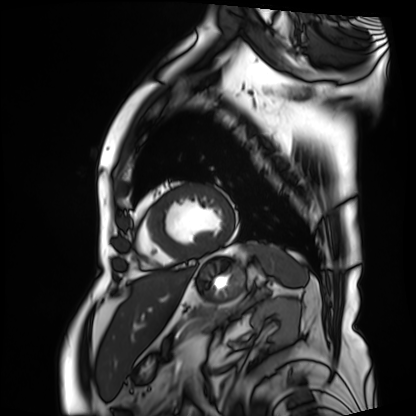
Cardiac MRI. Subject group: patient.